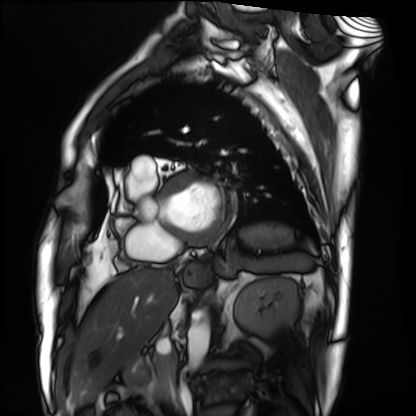
Summary:
Cardiac MRI. Subject group: patient.